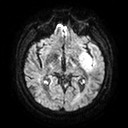
modality: 3 Tesla brain MRI | series: diffusion tensor imaging (medium iso) | study: ring-enhancing brain masses.